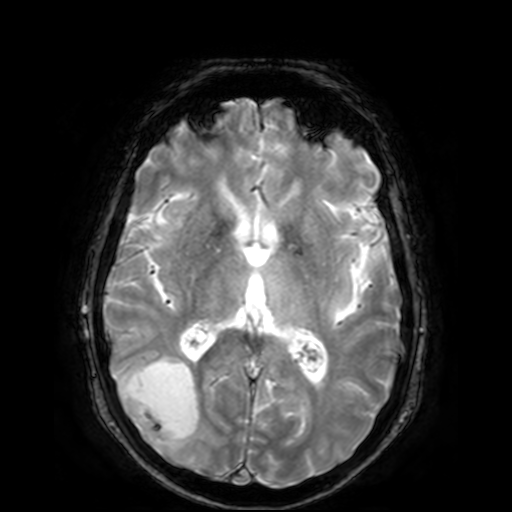
{
  "modality": {
    "type": "brain MRI",
    "field_strength": "3T"
  },
  "series": "T2-weighted fast field echo",
  "study_topic": "ring-enhancing brain masses"
}